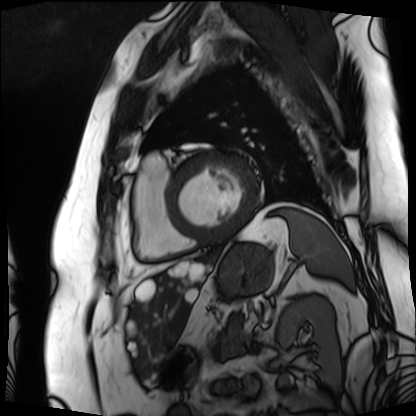
Cardiac MRI. Subject group: patient.